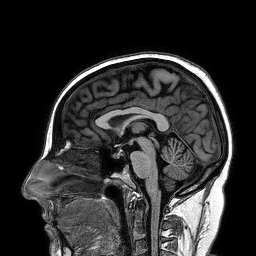
3 Tesla brain MRI. Series: 3D T1-weighted turbo field echo. Study: ring-enhancing brain masses.